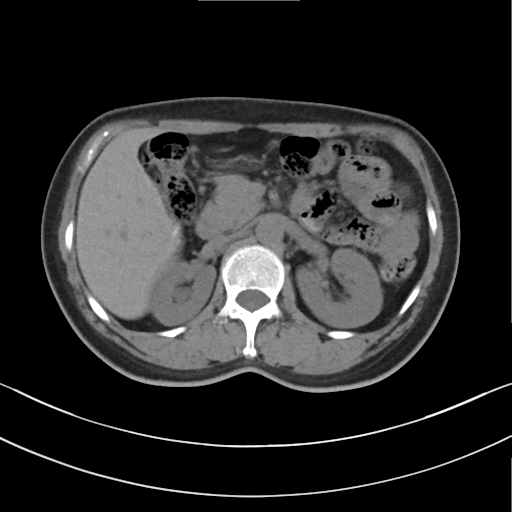
• modality · multiphase abdominal CT, liver, non-contrast phase
• patient · female, age 56